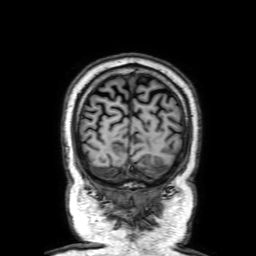
3 Tesla brain MRI.
Series: 3D T1-weighted with SENSE.
Study: ring-enhancing brain masses.